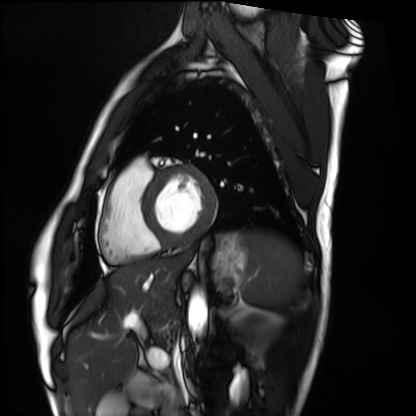
Case:
– modality · cardiac MRI
– subject group · healthy volunteer